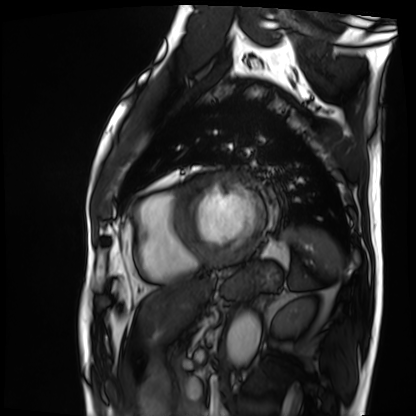
Cardiac MRI. Subject group: patient.